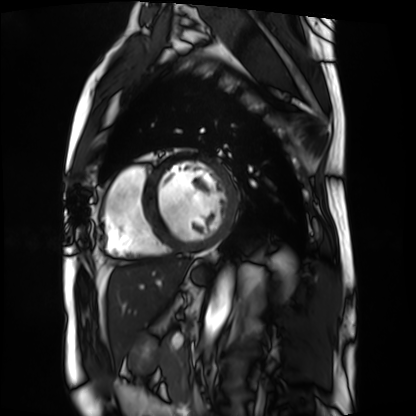
Case:
* modality — cardiac MRI
* subject group — patient